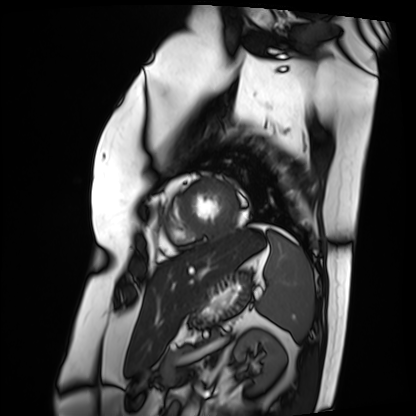
Summary:
Cardiac MRI. Subject group: patient.